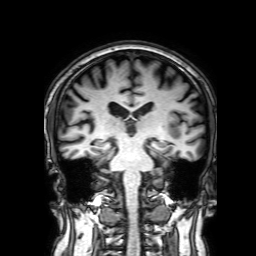
3 Tesla brain MRI. Study: ring-enhancing brain masses.